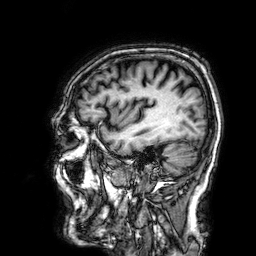
3 Tesla brain MRI. Series: 3D T1-weighted. Study: ring-enhancing brain masses.